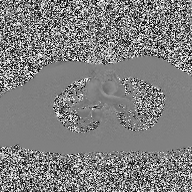
{"modality": {"type": "2D phase-contrast cine MRI", "region": "ascending aorta", "reconstruction": "high-resolution GRAPPA acquisition"}}